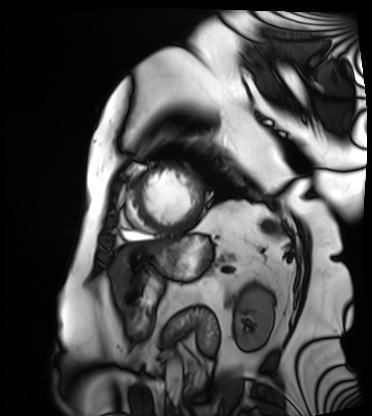
Cardiac MRI. Subject group: patient.